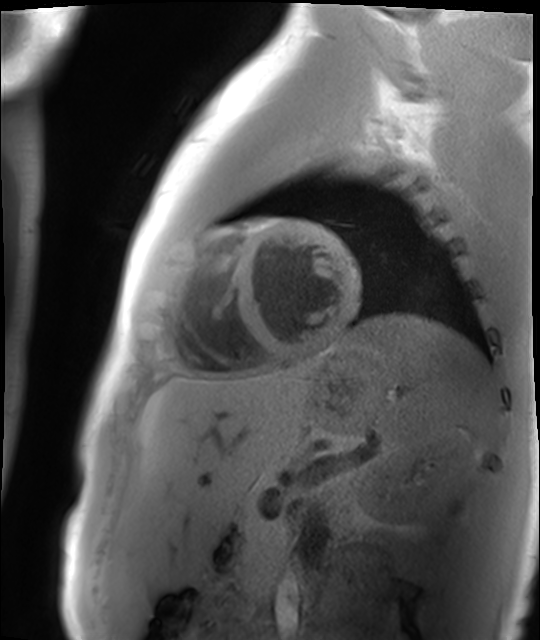
Cardiac MR image of the myocardium.
Subject cohort: healthy volunteer.